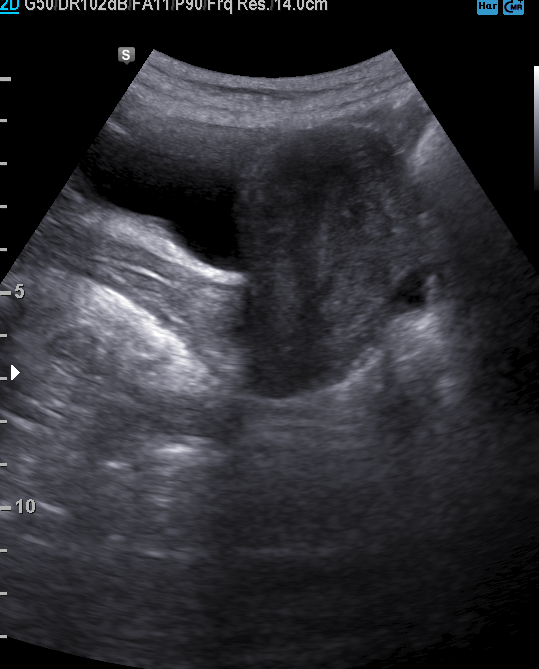
modality: genitourinary ultrasound